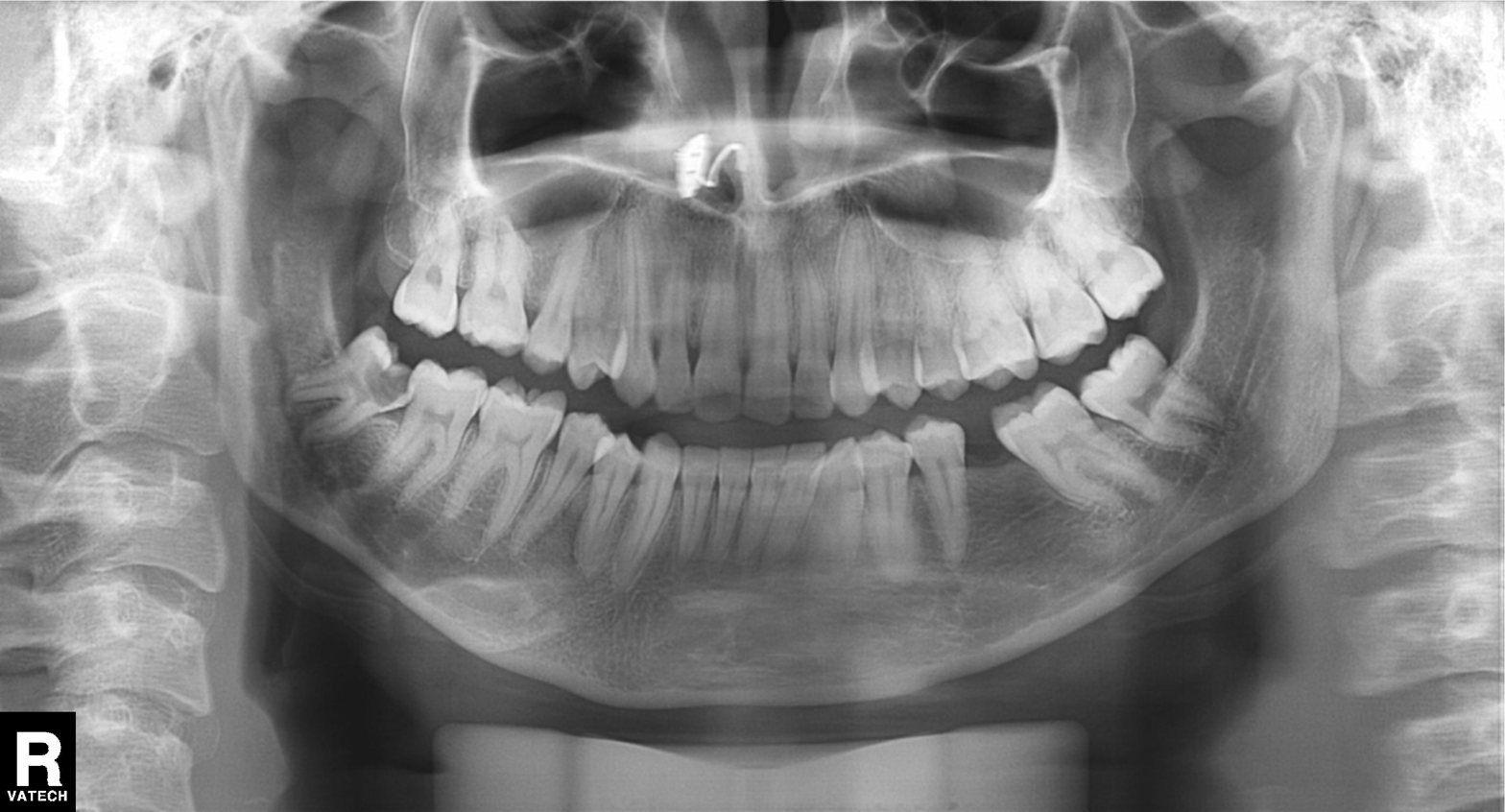
Panoramic dental radiograph (orthopantomogram). Finding: alveolar bone loss.